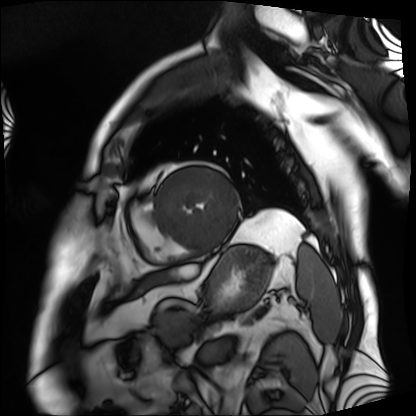
modality=cardiac MRI
subject group=patient